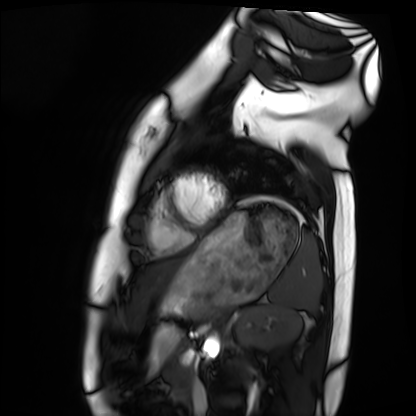
Case:
- modality — cardiac MRI
- subject group — healthy volunteer